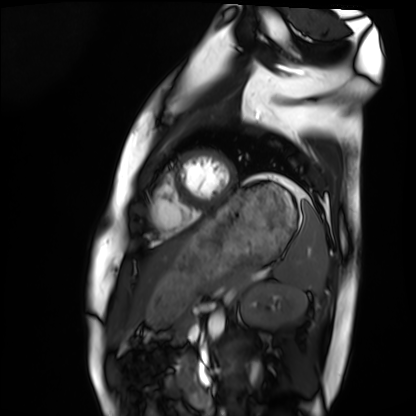
modality: cardiac MRI | subject group: healthy volunteer.